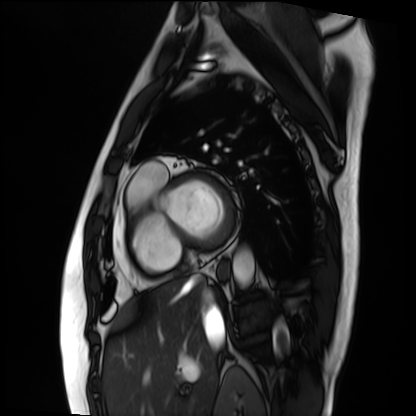
{
  "modality": "cardiac MRI",
  "cohort": "patient"
}